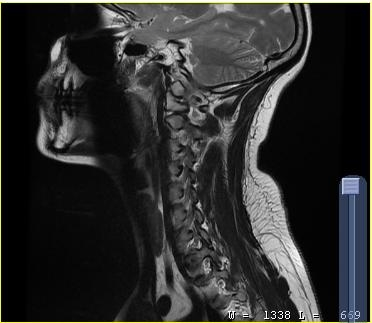
Summary:
MRI of the cervical spine. Study: cervical spondylosis.